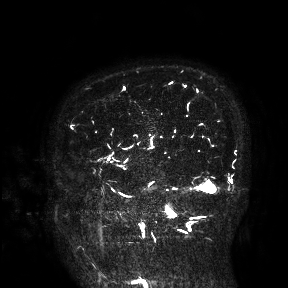
3 Tesla brain MRI. Study: ring-enhancing brain masses.